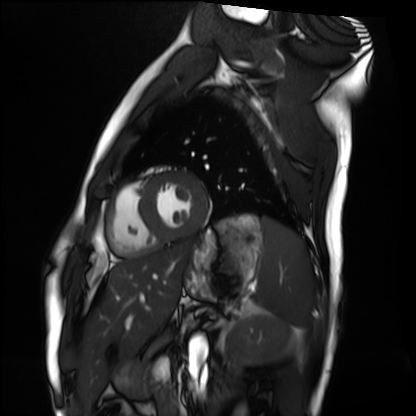
Summary:
Cardiac MRI. Subject group: healthy volunteer.